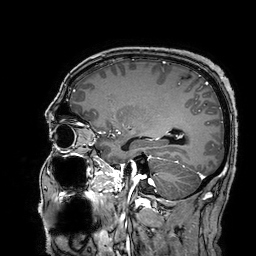
3 Tesla brain MRI.
Series: 3D T1-weighted turbo field echo with SENSE.
Study: ring-enhancing brain masses.